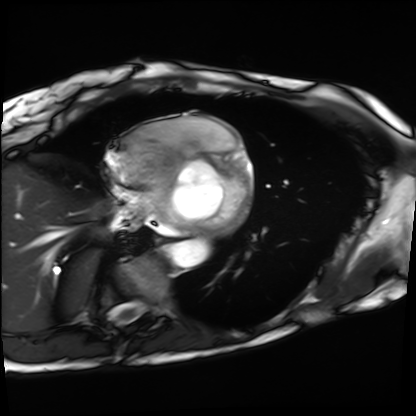
modality=cardiac MRI
subject group=patient